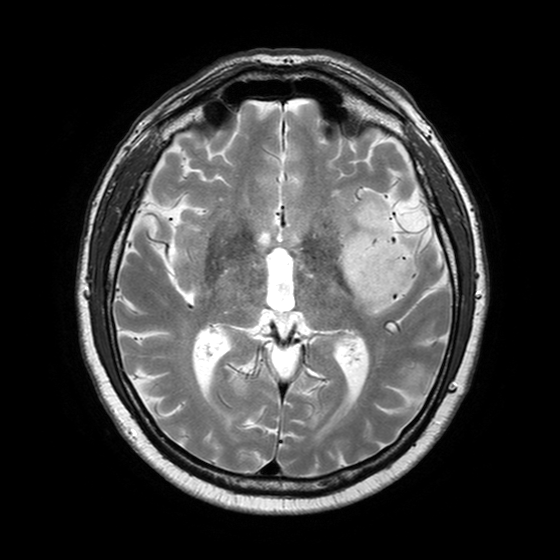
3 Tesla brain MRI. Series: T2-weighted turbo spin echo with SENSE. Study: ring-enhancing brain masses.